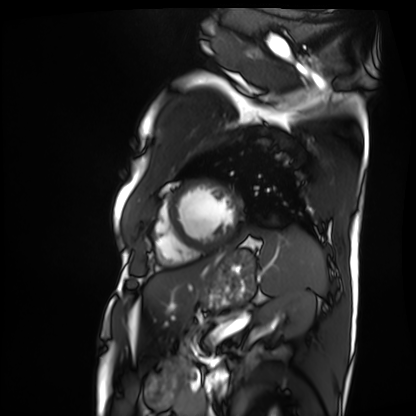
Q: What kind of scan is this?
A: Cardiac MRI.
Subject group: patient.